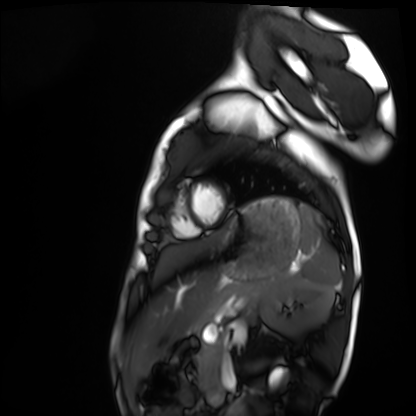
• modality — cardiac MRI
• subject group — healthy volunteer